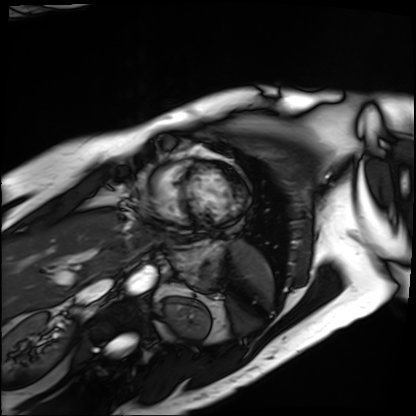
Cardiac MRI. Subject group: patient.